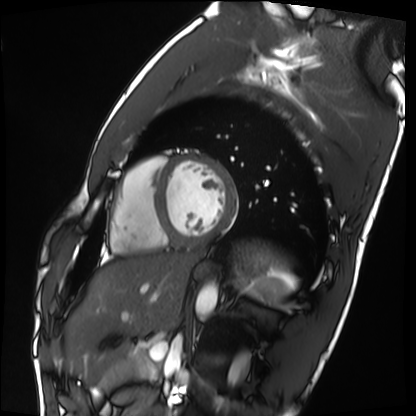
Case summary: Cardiac MRI. Subject group: healthy volunteer.